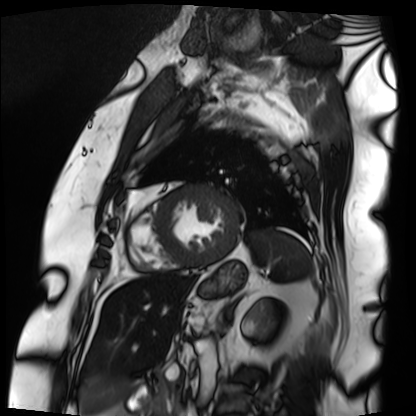
<study>
  <modality>cardiac MRI</modality>
  <cohort>patient</cohort>
</study>